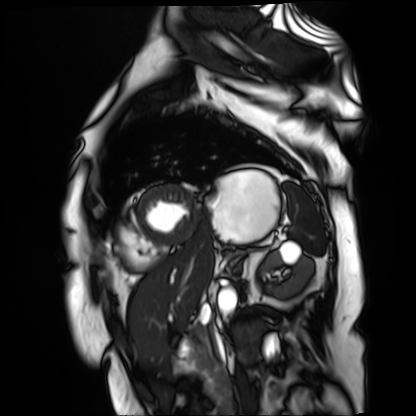
• modality · cardiac MR image of the myocardium
• subject cohort · cardiac patient